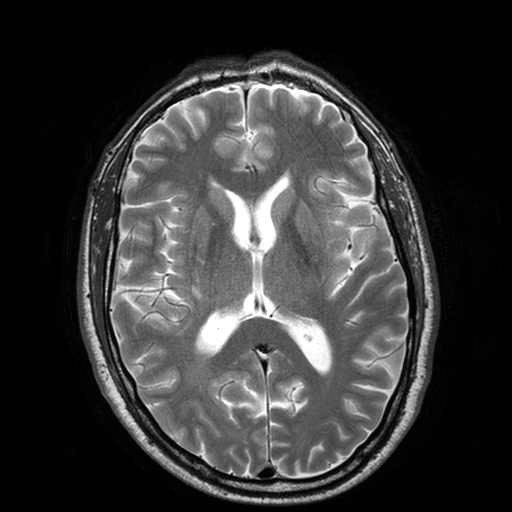
modality=3 Tesla brain MRI | series=T2-weighted turbo spin echo with SENSE | study=ring-enhancing brain masses.